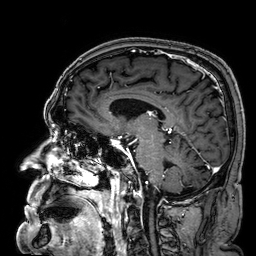
modality: 3 Tesla brain MRI | series: 3D T1-weighted | study: ring-enhancing brain masses.